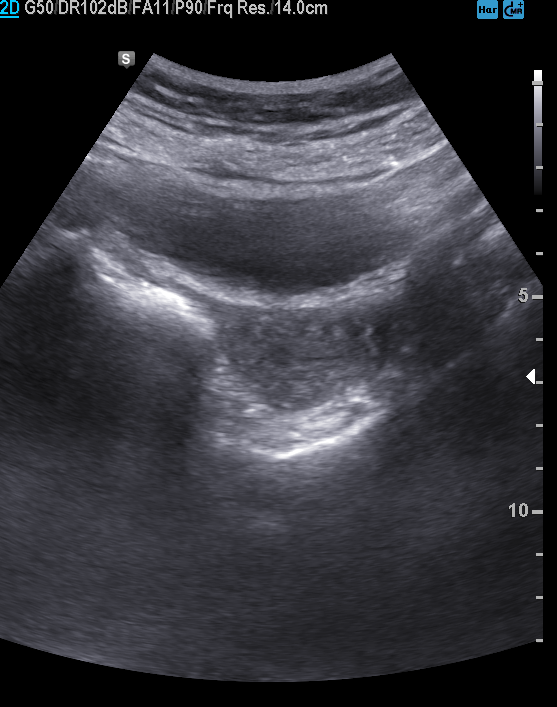
modality=genitourinary ultrasound.